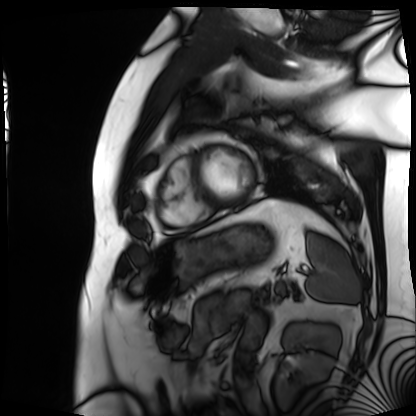
Cardiac MRI.
Subject group: patient.